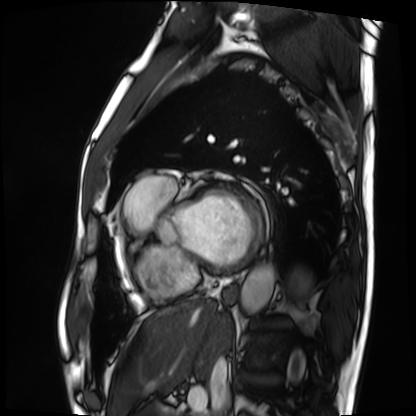
modality = cardiac MRI
subject group = patient